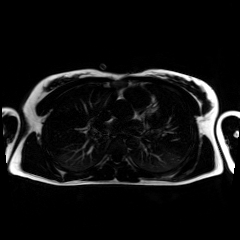
Q: What kind of scan is this?
A: Chemical-shift-encoded cardiac MRI.